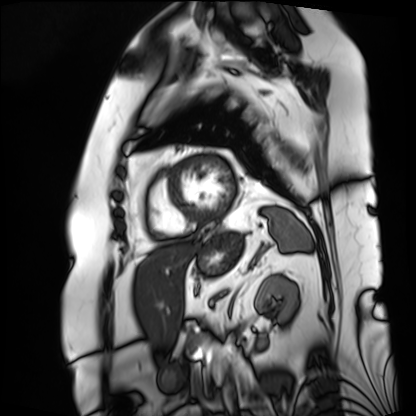
{
  "modality": "cardiac MRI",
  "cohort": "patient"
}